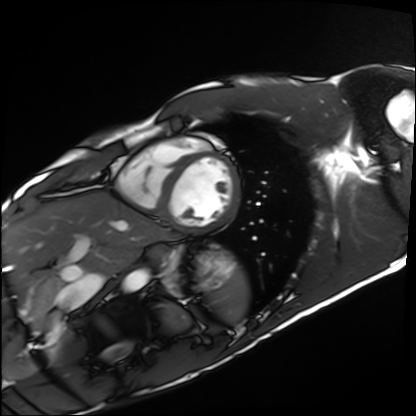
Cardiac MRI. Subject group: healthy volunteer.